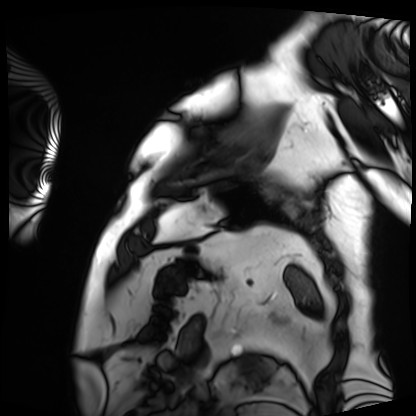
Q: What kind of scan is this?
A: Cardiac MRI.
Subject group: patient.